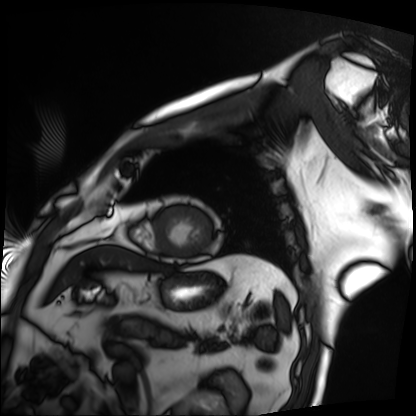
Summary:
Cardiac MRI. Subject group: patient.